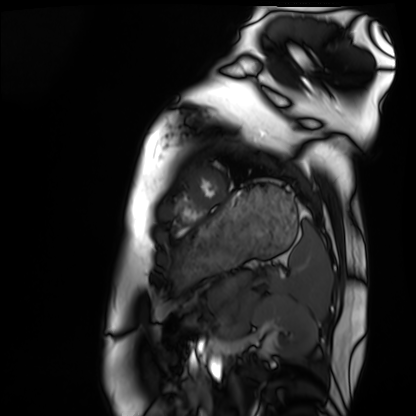
Case:
* modality — cardiac MRI
* subject group — healthy volunteer